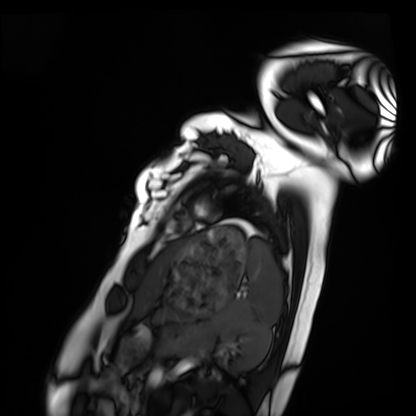
• modality · cardiac MRI
• subject group · healthy volunteer